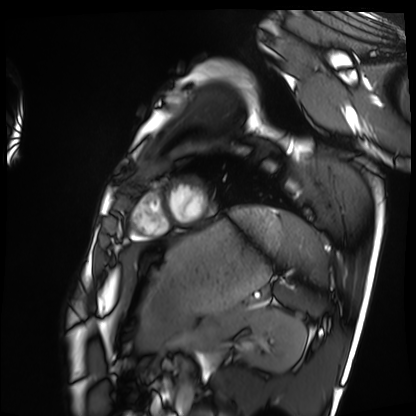
Cardiac MRI. Subject group: healthy volunteer.